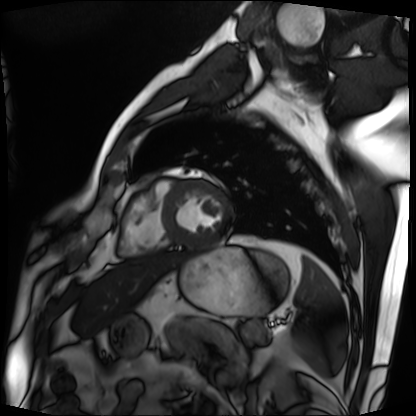
Cardiac MRI. Subject group: patient.